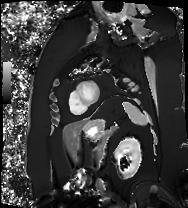
Cardiac MRI. Subject group: patient.